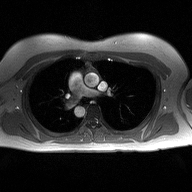
* modality — 2D phase-contrast cine MRI of the ascending aorta